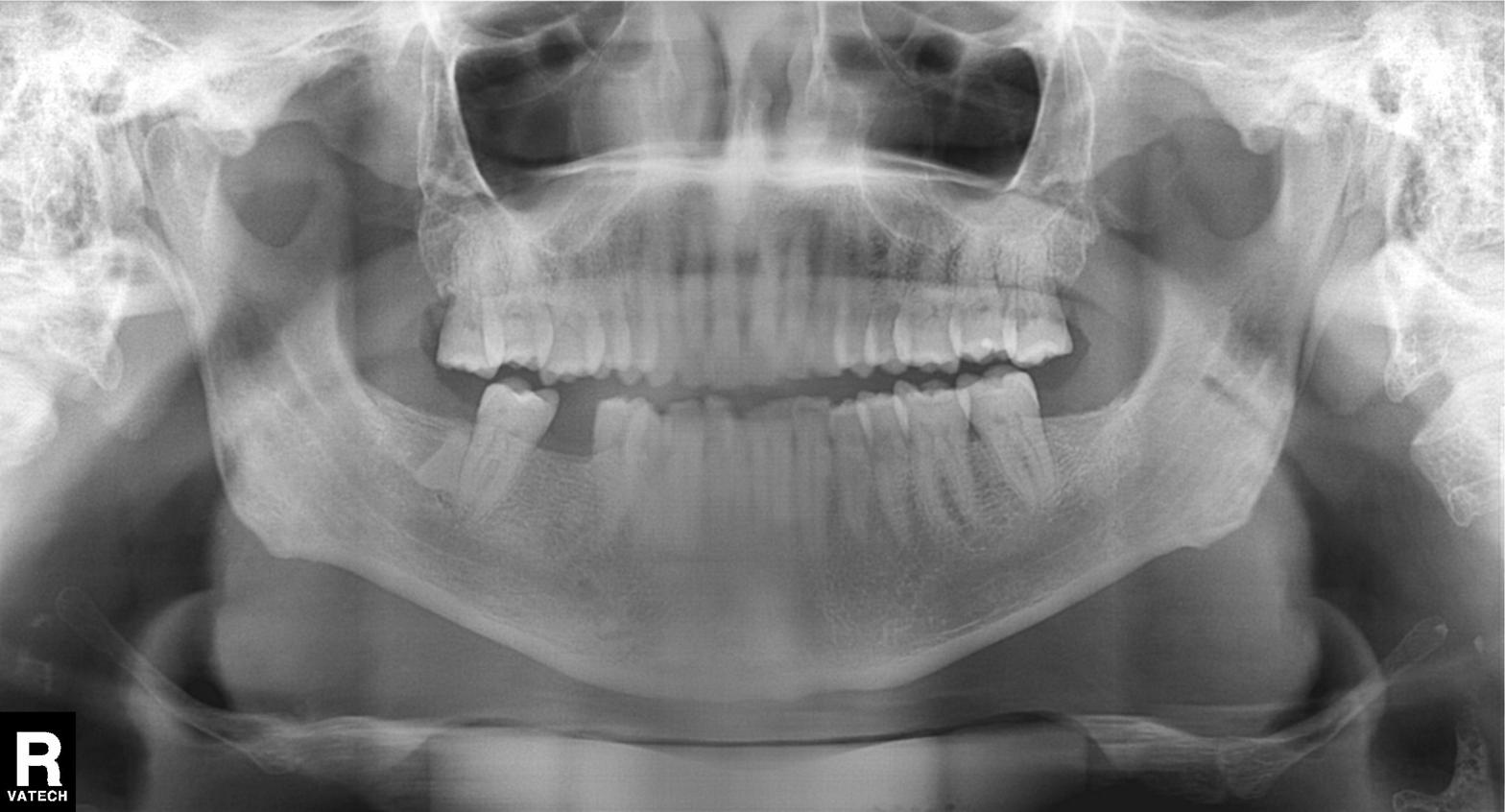
Clinical context: Panoramic dental radiograph (orthopantomogram).
Assessment: Dental caries (cavities).